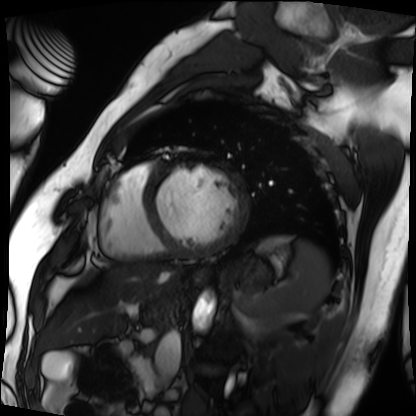
Clinical context:
Cardiac MRI. Subject group: patient.